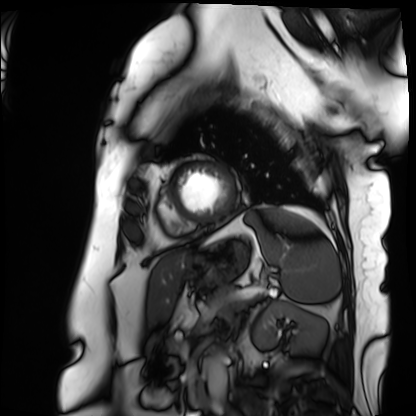
Cardiac MRI.
Subject group: patient.